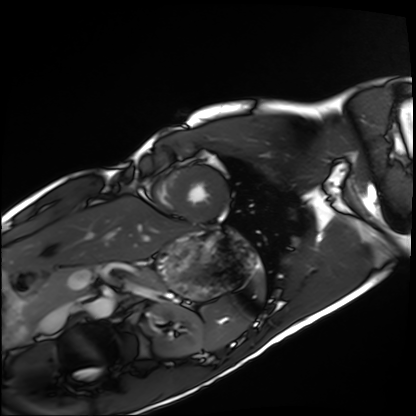
Summary:
Cardiac MRI. Subject group: healthy volunteer.